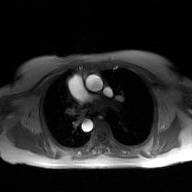
  modality:
    type: 2D phase-contrast cine MRI
    region: ascending aorta
    reconstruction: GAN super-resolution reconstruction